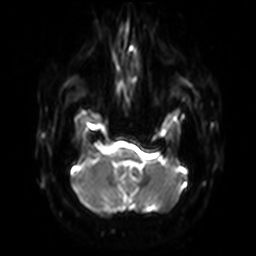
– modality — 3 Tesla brain MRI
– series — diffusion-weighted imaging with SENSE (WIP)
– study — ring-enhancing brain masses